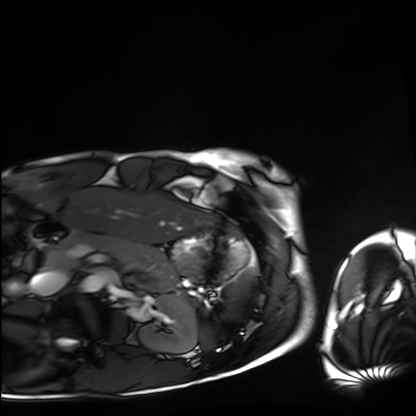
Case:
- modality — cardiac MRI
- subject group — healthy volunteer